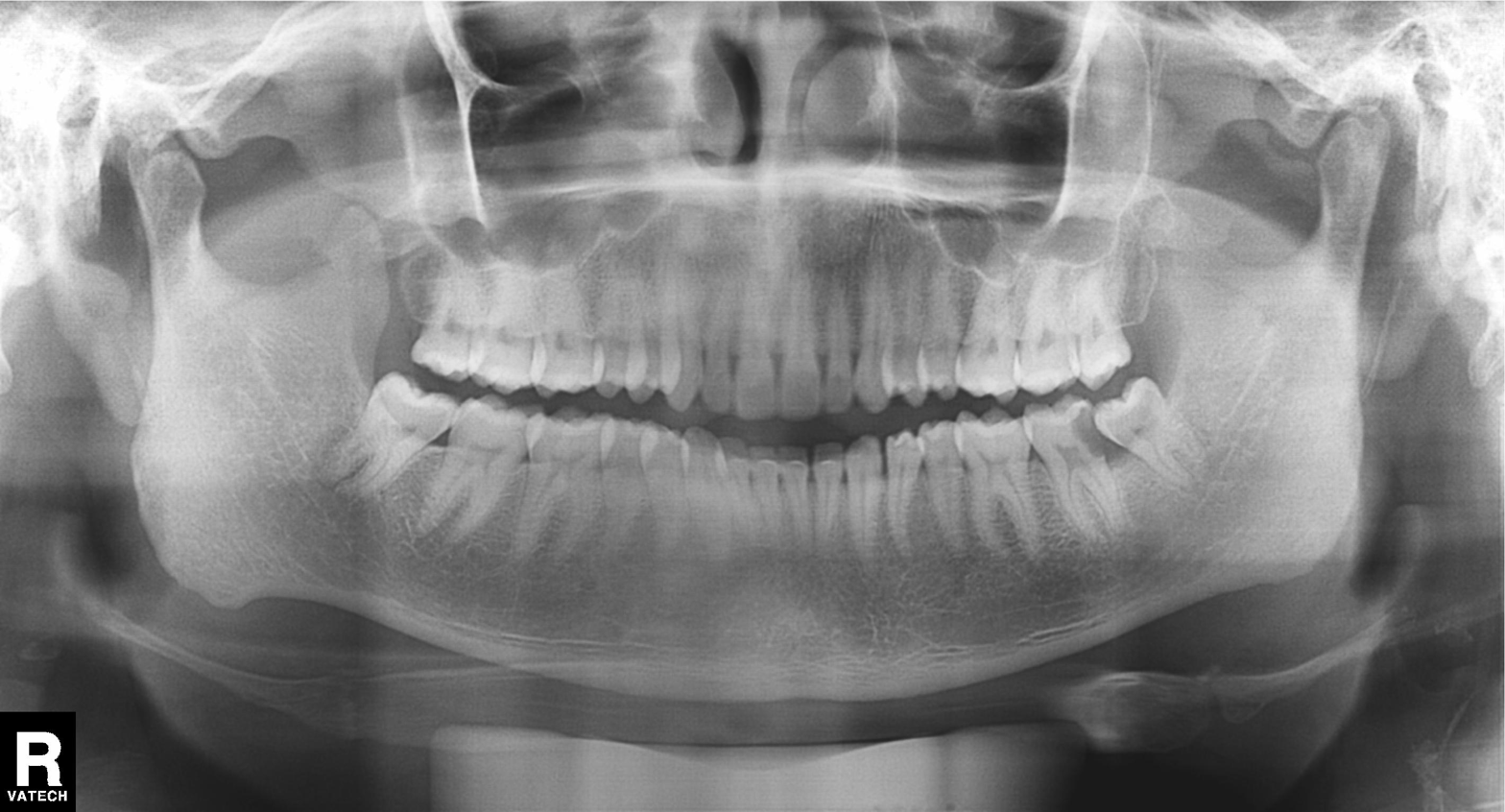
Case summary: Panoramic dental radiograph (orthopantomogram).
Conclusion: Dental caries (cavities).